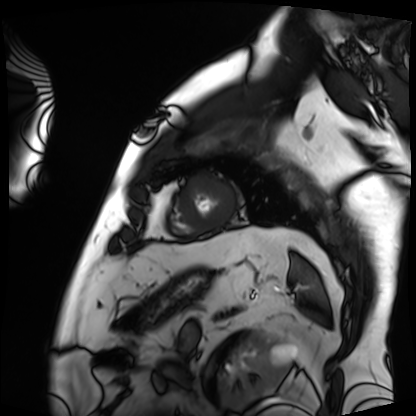
{"modality": "cardiac MRI", "cohort": "patient"}